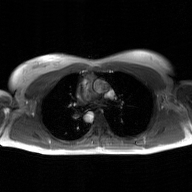
modality = 2D phase-contrast cine MRI of the ascending aorta, GAN super-resolution reconstruction.